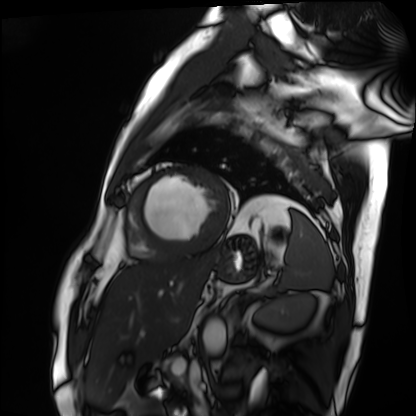
  modality: cardiac MRI
  cohort: patient